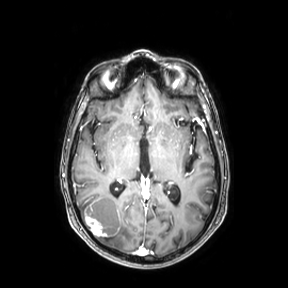
3 Tesla brain MRI.
Series: axial.
Study: ring-enhancing brain masses.